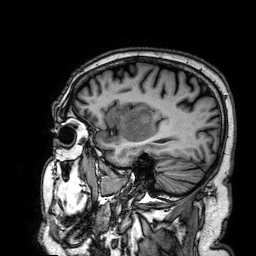
3 Tesla brain MRI.
Series: 3D T1-weighted.
Study: ring-enhancing brain masses.